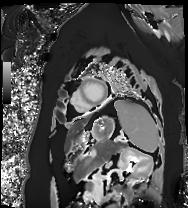
Clinical context: Cardiac MRI. Subject group: patient.